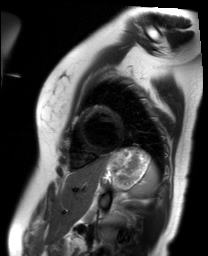
Cardiac MR image of the myocardium. Subject cohort: healthy volunteer.